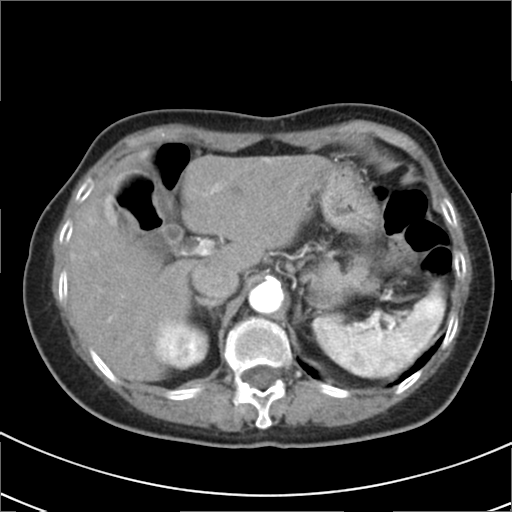
Summary: Multiphase abdominal CT, liver, arterial phase. Patient: female, age 79. History: prior chemotherapy.